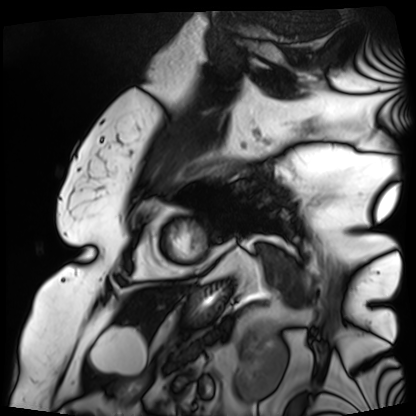
Cardiac MRI.
Subject group: patient.